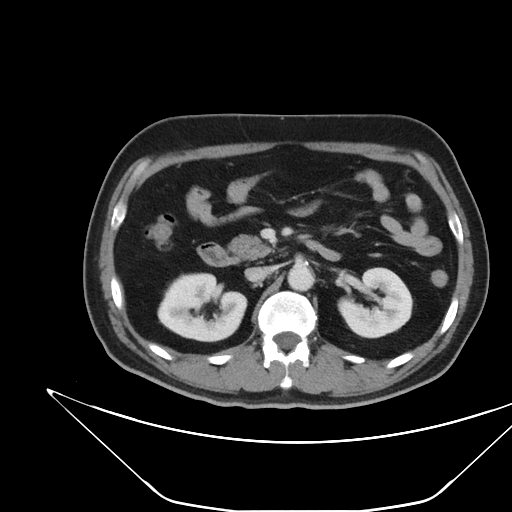
  modality:
    type: multiphase abdominal CT
    region: liver
    phase: portal venous
  patient:
    sex: male
    age: 52